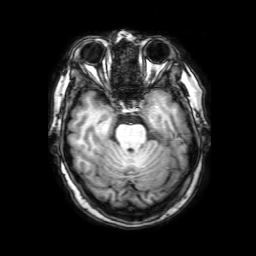
{
  "modality": {
    "type": "brain MRI",
    "field_strength": "3T"
  },
  "series": "3D T1-weighted with SENSE",
  "study_topic": "ring-enhancing brain masses"
}